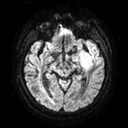
Case:
- modality · 3 Tesla brain MRI
- series · diffusion tensor imaging (medium iso)
- study · ring-enhancing brain masses